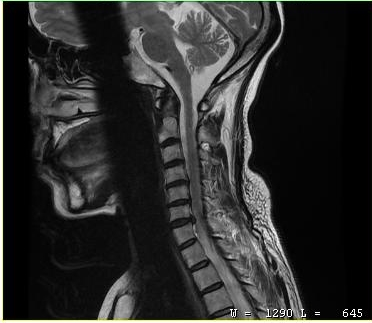
Summary:
MRI of the cervical spine. Study: cervical spondylosis.